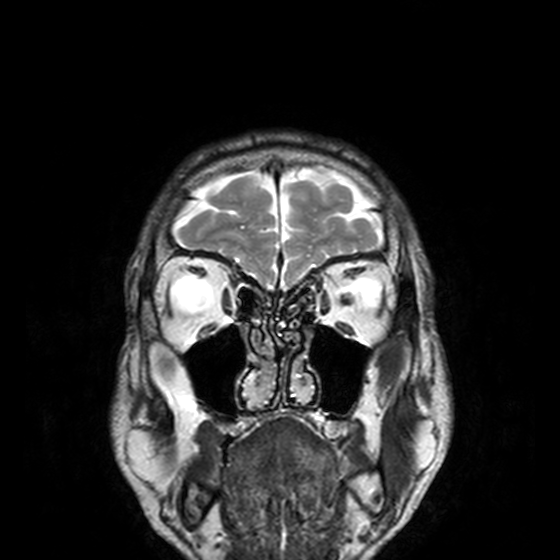
| field | value |
|---|---|
| modality | 3 Tesla brain MRI |
| series | T2-weighted turbo spin echo, 3 mm |
| study | ring-enhancing brain masses |